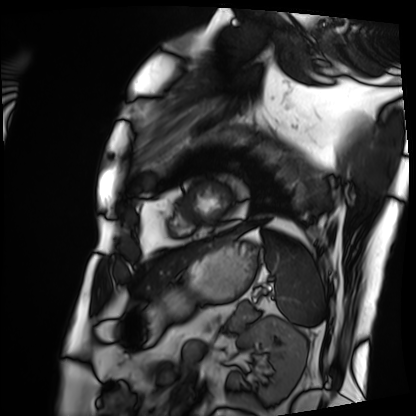
Cardiac MRI.
Subject group: patient.